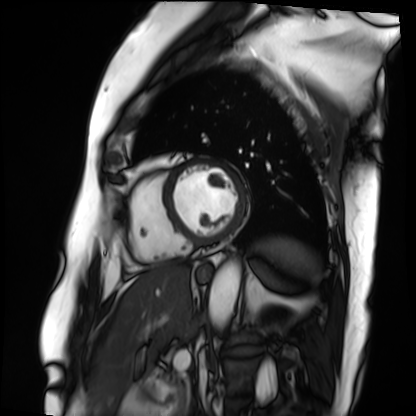
Q: What kind of scan is this?
A: Cardiac MRI.
Subject group: patient.